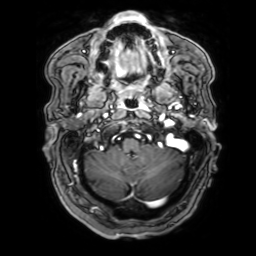
3 Tesla brain MRI. Series: 3D T1-weighted with SENSE. Study: ring-enhancing brain masses.